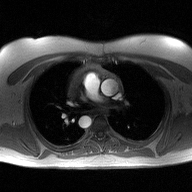
<case>
<modality>
  <type>2D phase-contrast cine MRI</type>
  <region>ascending aorta</region>
  <reconstruction>high-resolution GRAPPA acquisition</reconstruction>
</modality>
</case>